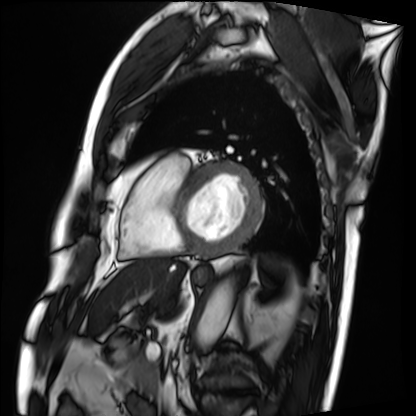
Cardiac MRI.
Subject group: patient.